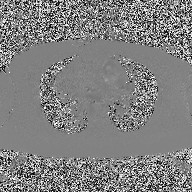
2D phase-contrast cine MRI of the ascending aorta, high-resolution GRAPPA acquisition.